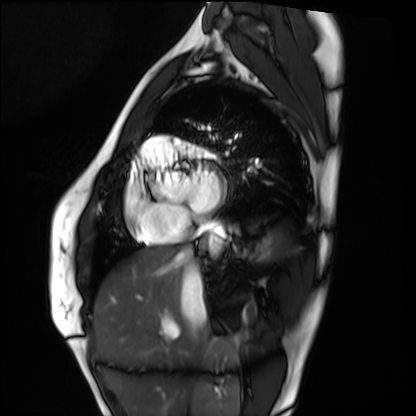
Cardiac MRI.
Subject group: healthy volunteer.